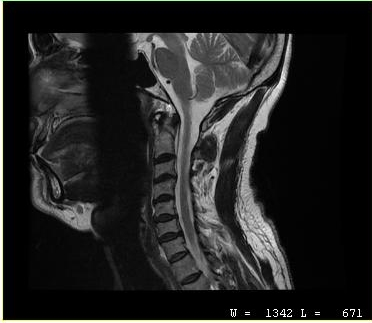
Clinical context:
MRI of the cervical spine. Study: cervical spondylosis.